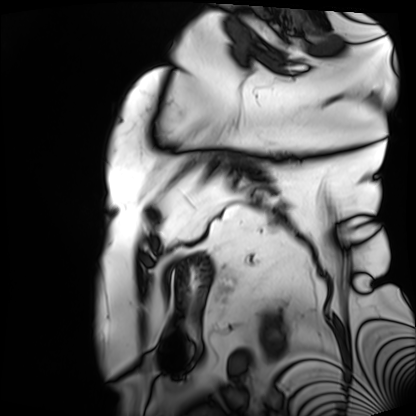
modality: cardiac MRI, subject group: patient.